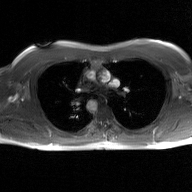
2D phase-contrast cine MRI of the ascending aorta, GAN super-resolution reconstruction.